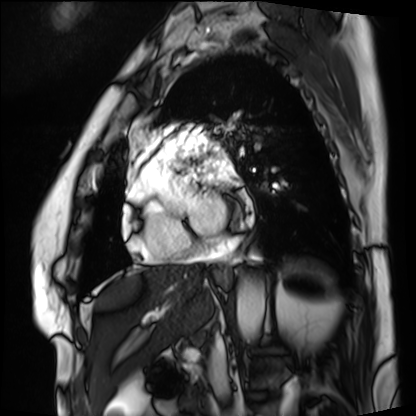
Cardiac MRI. Subject group: patient.